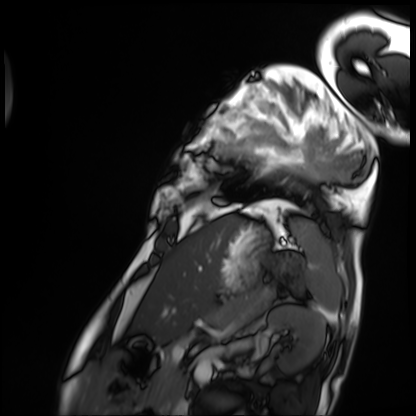
Case summary: Cardiac MRI. Subject group: patient.